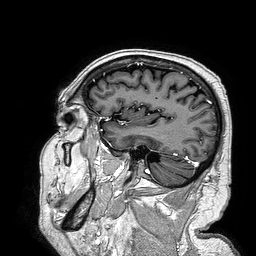
Summary: 3 Tesla brain MRI. Series: 3D T1-weighted turbo field echo. Study: ring-enhancing brain masses.